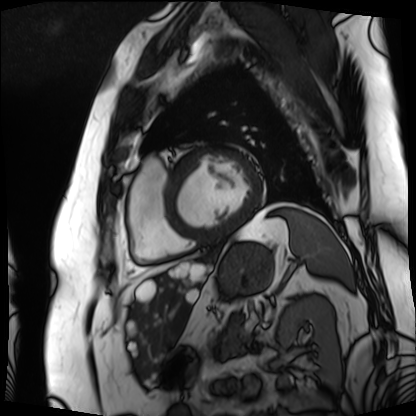
Q: What kind of scan is this?
A: Cardiac MRI.
Subject group: patient.